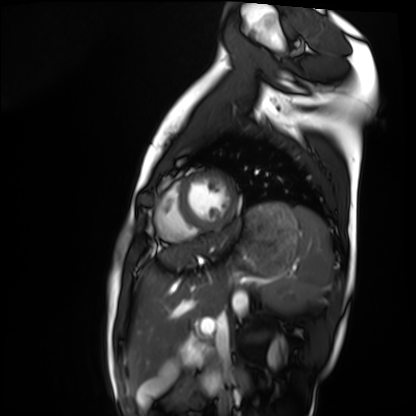
Clinical context:
Cardiac MRI. Subject group: healthy volunteer.